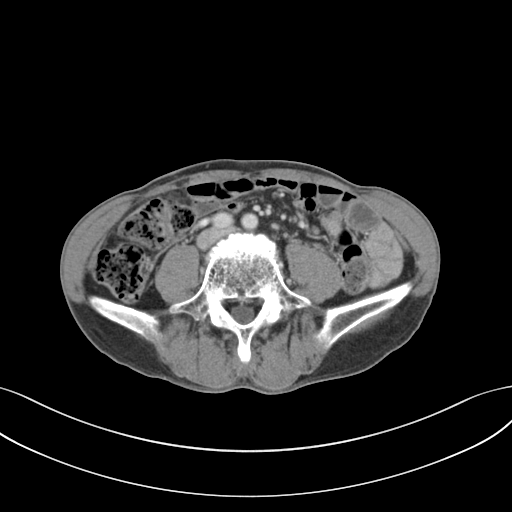
| field | value |
|---|---|
| modality | multiphase abdominal CT, liver, portal venous phase |
| patient | male, age 65 |